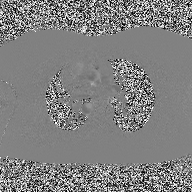
2D phase-contrast cine MRI of the ascending aorta, high-resolution GRAPPA acquisition.